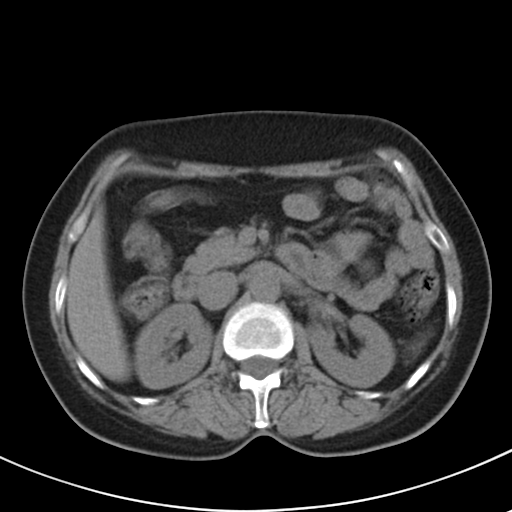
Multiphase abdominal CT, liver, non-contrast phase. Patient: female, age 48. History: prior chemotherapy.